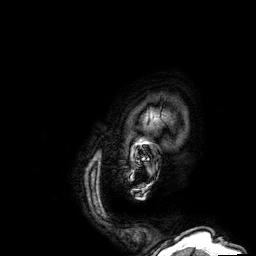
3 Tesla brain MRI. Series: 3D T1-weighted. Study: ring-enhancing brain masses.